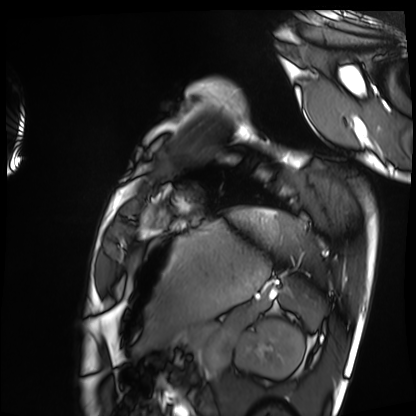
modality: cardiac MRI | subject group: healthy volunteer.